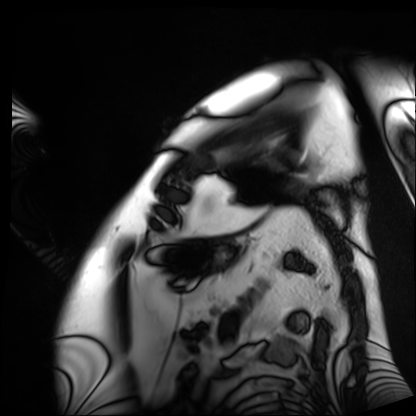
modality: cardiac MRI; subject group: patient.